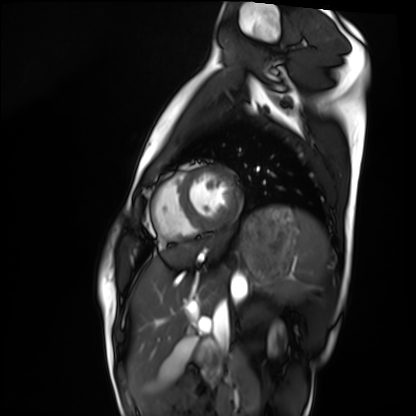
<case>
  <modality>cardiac MRI</modality>
  <cohort>healthy volunteer</cohort>
</case>